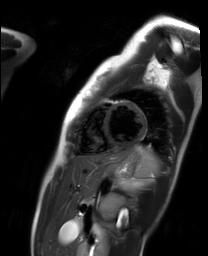
Q: What kind of scan is this?
A: Cardiac MR image of the myocardium.
Subject cohort: healthy volunteer.